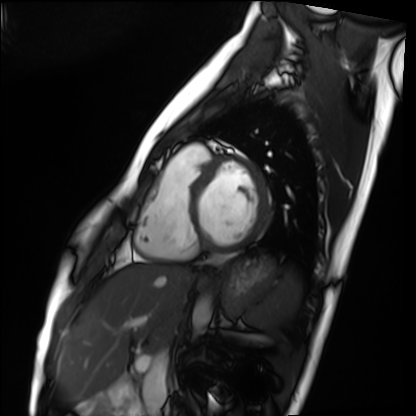
Cardiac MRI. Subject group: healthy volunteer.